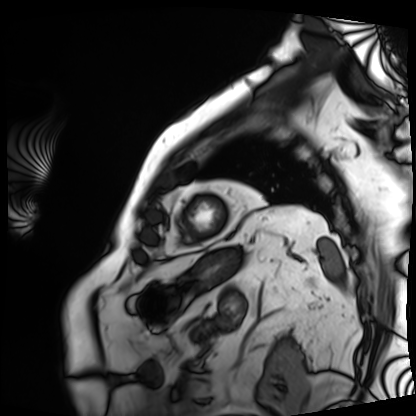
Cardiac MRI.
Subject group: patient.